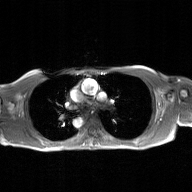
{
  "modality": {
    "type": "2D phase-contrast cine MRI",
    "region": "ascending aorta",
    "reconstruction": "GAN super-resolution reconstruction"
  }
}